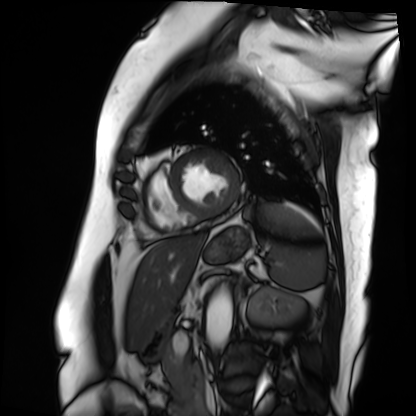
Case:
* modality · cardiac MRI
* subject group · patient